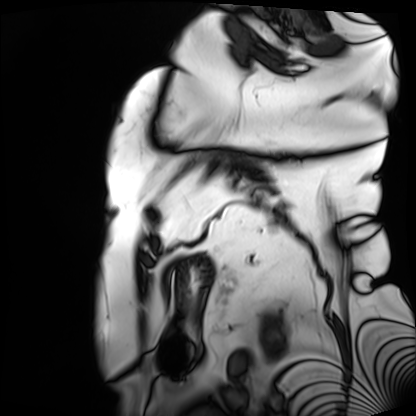
Cardiac MRI.
Subject group: patient.